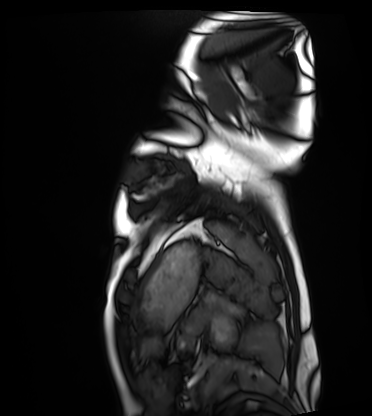
Cardiac MRI.
Subject group: healthy volunteer.